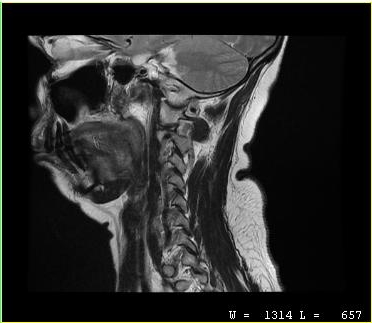
modality — MRI of the cervical spine; study — cervical spondylosis.